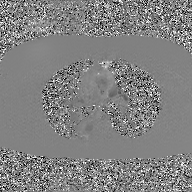
Summary: 2D phase-contrast cine MRI of the ascending aorta, GAN super-resolution reconstruction.